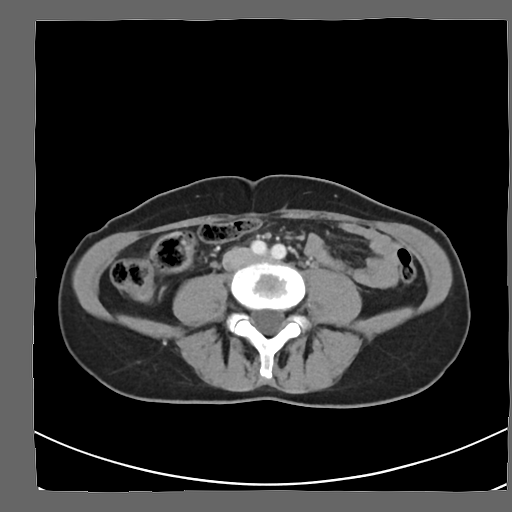
Multiphase abdominal CT, liver, arterial phase.
Patient: female, age 48.